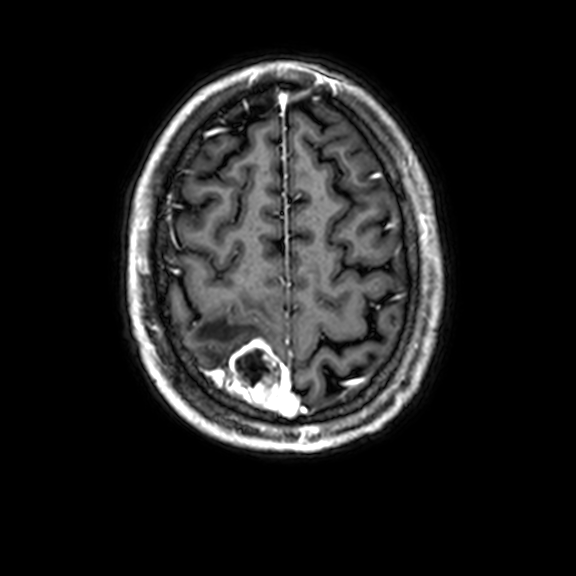
* modality: 3 Tesla brain MRI
* series: 3D T1-weighted with CLEAR
* study: ring-enhancing brain masses